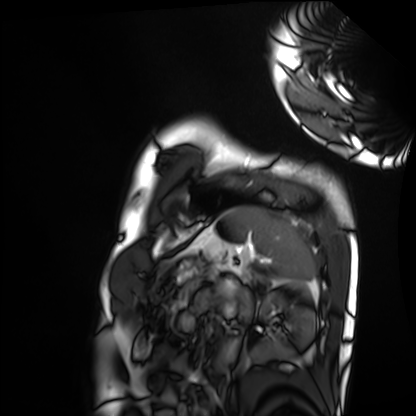
Q: What kind of scan is this?
A: Cardiac MRI.
Subject group: healthy volunteer.